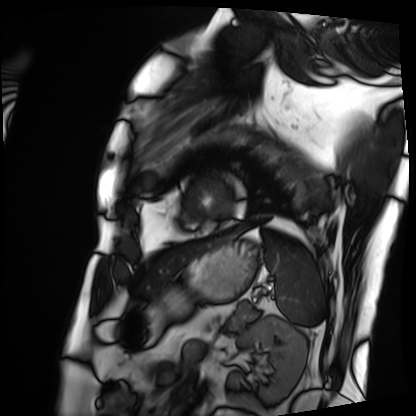
Cardiac MRI. Subject group: patient.